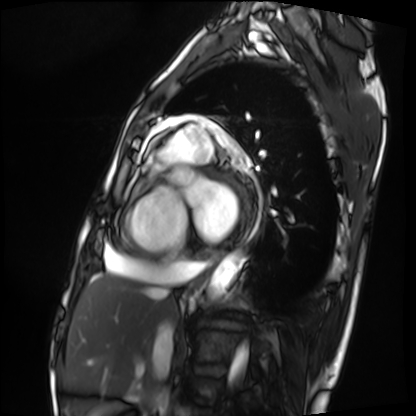
modality = cardiac MRI, subject group = patient.